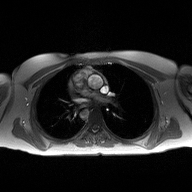
Summary: 2D phase-contrast cine MRI of the ascending aorta, high-resolution GRAPPA acquisition.